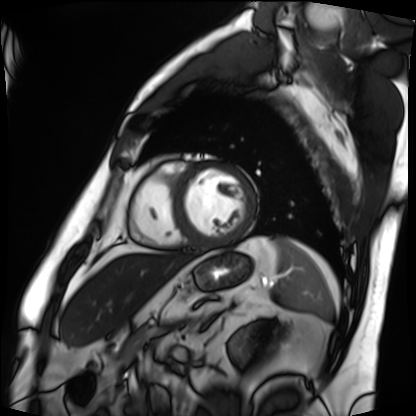
{"modality": "cardiac MRI", "cohort": "patient"}